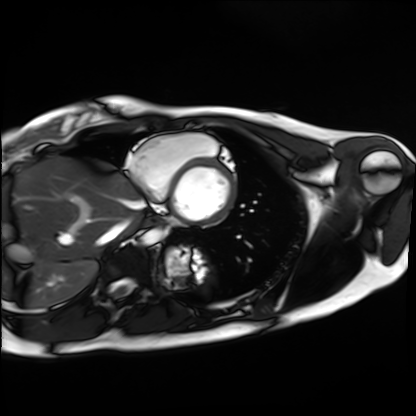
Q: What kind of scan is this?
A: Cardiac MRI.
Subject group: healthy volunteer.